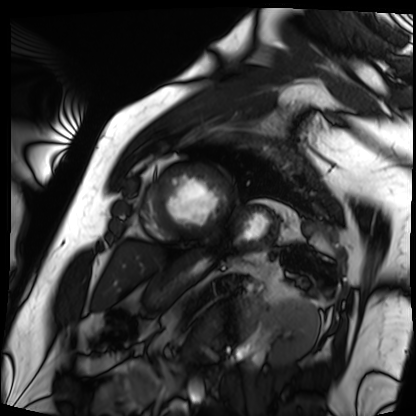
* modality — cardiac MRI
* subject group — patient